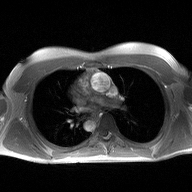
<study>
<modality>
  <type>2D phase-contrast cine MRI</type>
  <region>ascending aorta</region>
  <reconstruction>high-resolution GRAPPA acquisition</reconstruction>
</modality>
</study>